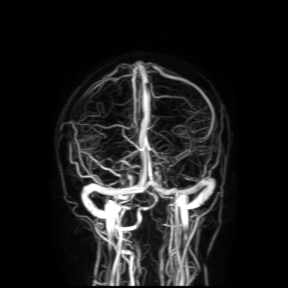
3 Tesla brain MRI. Study: ring-enhancing brain masses.